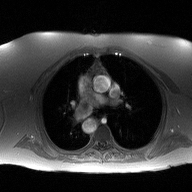
modality — 2D phase-contrast cine MRI of the ascending aorta